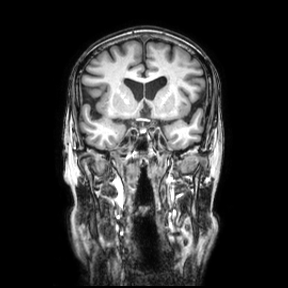
{
  "modality": {
    "type": "brain MRI",
    "field_strength": "3T"
  },
  "series": "coronal",
  "study_topic": "ring-enhancing brain masses"
}